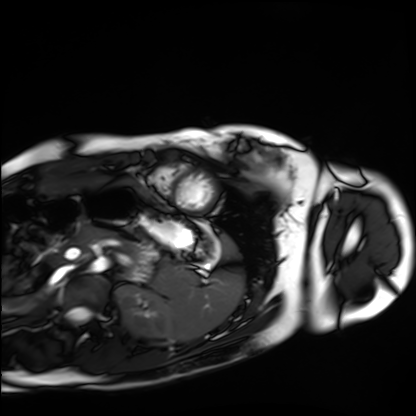
Cardiac MRI.
Subject group: healthy volunteer.